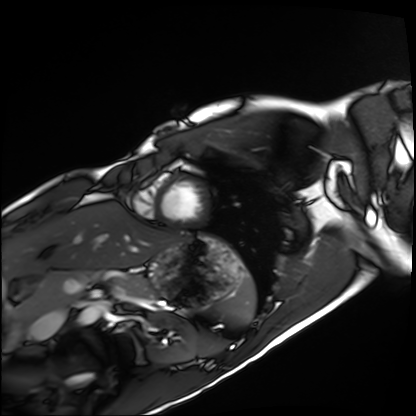
| field | value |
|---|---|
| modality | cardiac MRI |
| subject group | healthy volunteer |